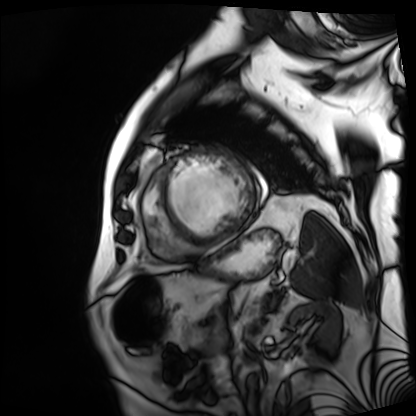
Summary: Cardiac MRI. Subject group: patient.